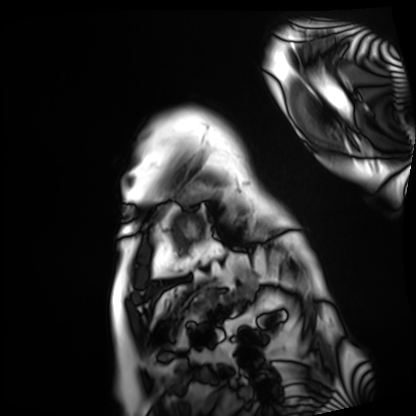
Cardiac MRI. Subject group: patient.